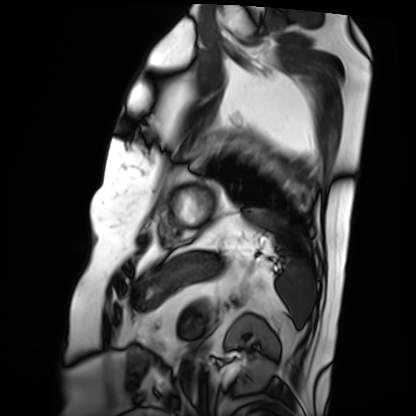
Cardiac MRI. Subject group: patient.